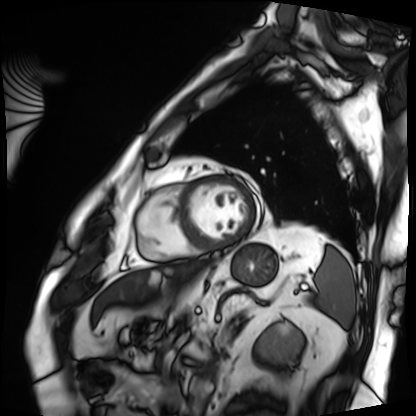
| field | value |
|---|---|
| modality | cardiac MRI |
| subject group | patient |